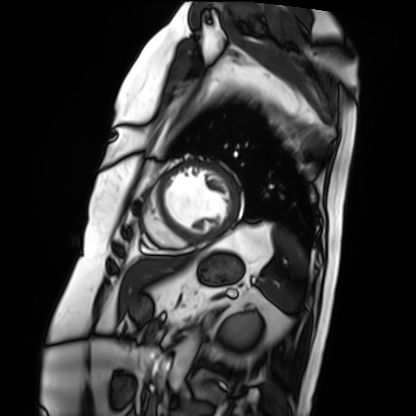
Cardiac MRI. Subject group: patient.